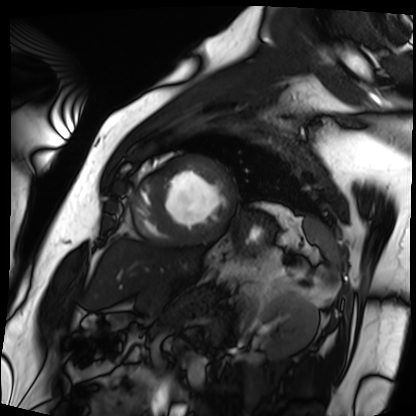
Cardiac MRI. Subject group: patient.